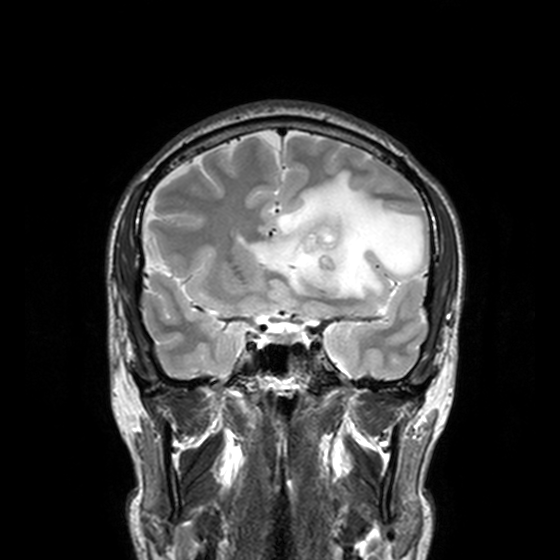
modality: 3 Tesla brain MRI
series: T2-weighted turbo spin echo, 3 mm
study: ring-enhancing brain masses